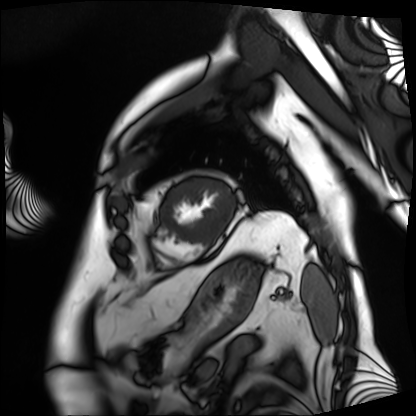
Cardiac MRI. Subject group: patient.